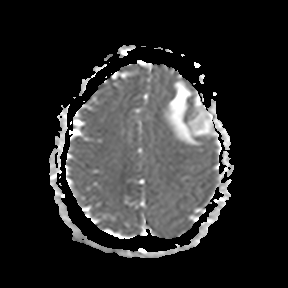
Q: What kind of scan is this?
A: 3 Tesla brain MRI.
Q: Series?
A: Apparent diffusion coefficient (ADC) map.
Study: ring-enhancing brain masses.